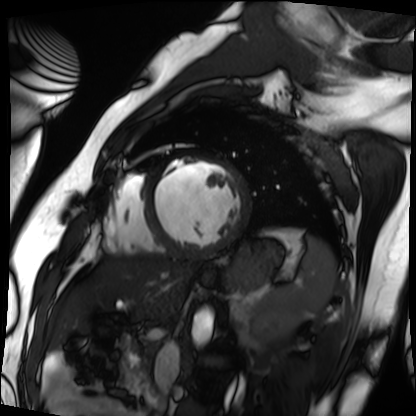
Cardiac MRI. Subject group: patient.